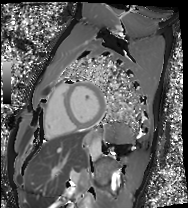
| field | value |
|---|---|
| modality | cardiac MRI |
| subject group | healthy volunteer |